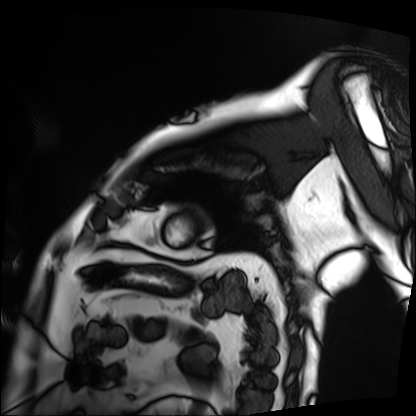
* modality: cardiac MRI
* subject group: patient